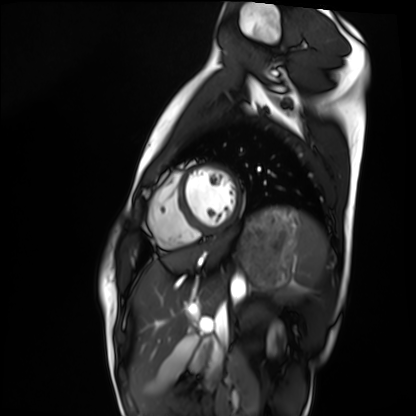
Cardiac MRI. Subject group: healthy volunteer.